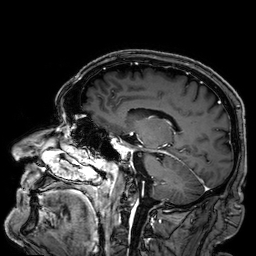
<case>
<modality>
  <type>brain MRI</type>
  <field_strength>3T</field_strength>
</modality>
<series>3D T1-weighted</series>
<study_topic>ring-enhancing brain masses</study_topic>
</case>